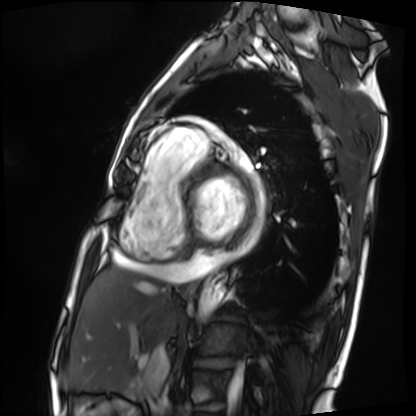
Cardiac MRI.
Subject group: patient.